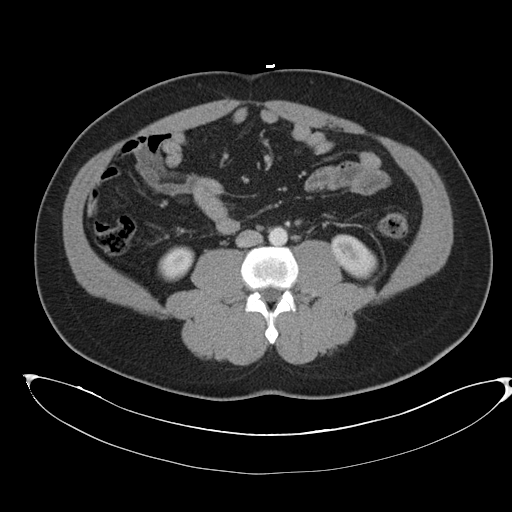
  modality:
    type: multiphase abdominal CT
    region: liver
    phase: arterial
  patient:
    sex: male
    age: 43
  history:
    - cirrhosis
    - viral hepatitis